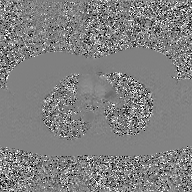
Case summary: 2D phase-contrast cine MRI of the ascending aorta, GAN super-resolution reconstruction.